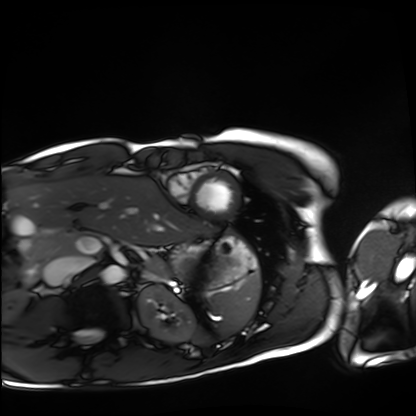
* modality: cardiac MRI
* subject group: healthy volunteer